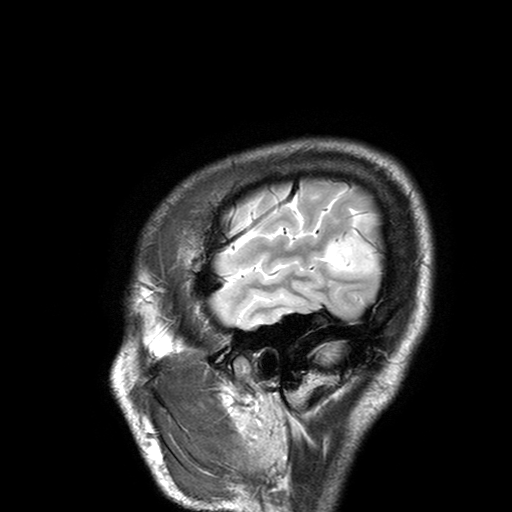
{
  "modality": {
    "type": "brain MRI",
    "field_strength": "3T"
  },
  "study_topic": "ring-enhancing brain masses"
}